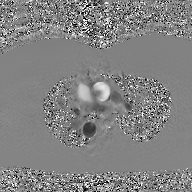
2D phase-contrast cine MRI of the ascending aorta, GAN super-resolution reconstruction.